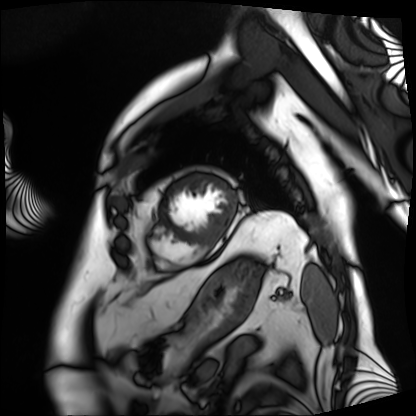
Case summary: Cardiac MRI. Subject group: patient.